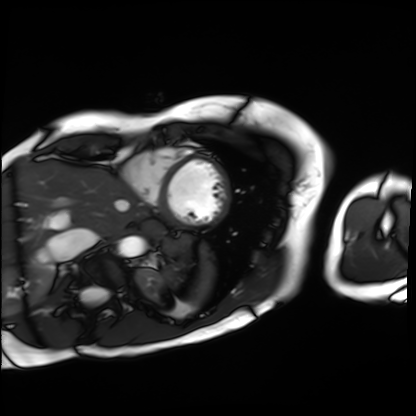
Q: What kind of scan is this?
A: Cardiac MRI.
Subject group: patient.